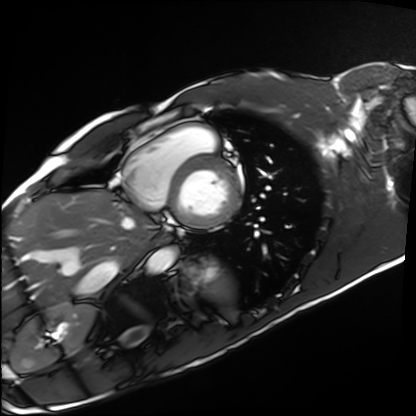
| field | value |
|---|---|
| modality | cardiac MRI |
| subject group | healthy volunteer |